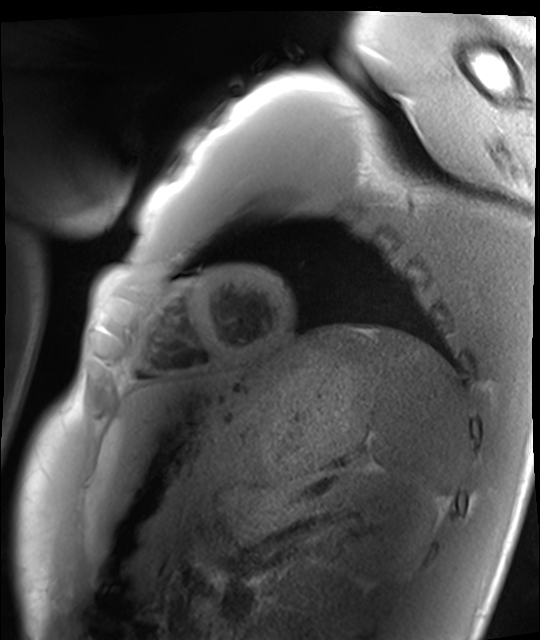
Cardiac MRI. Subject group: healthy volunteer.